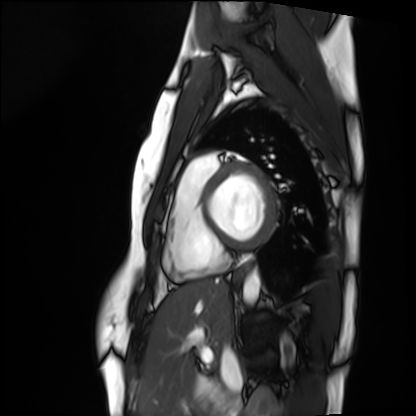
Cardiac MRI.
Subject group: healthy volunteer.